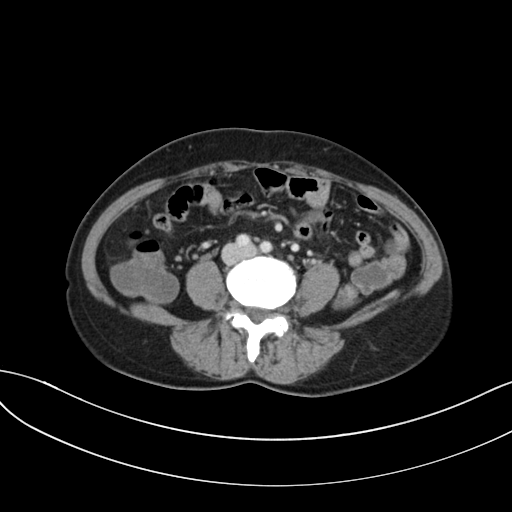
| field | value |
|---|---|
| modality | multiphase abdominal CT, liver, portal venous phase |